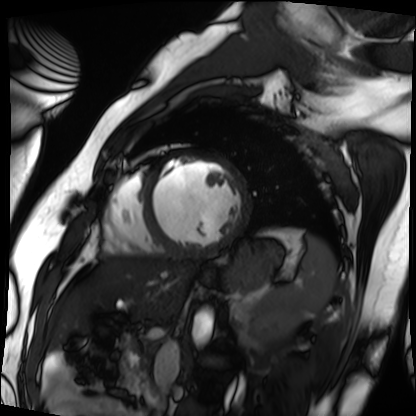
Cardiac MRI.
Subject group: patient.